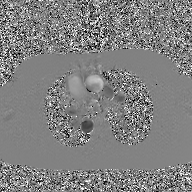
Case summary: 2D phase-contrast cine MRI of the ascending aorta, GAN super-resolution reconstruction.